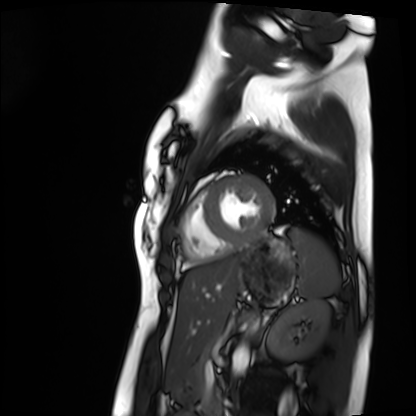
* modality: cardiac MRI
* subject group: healthy volunteer